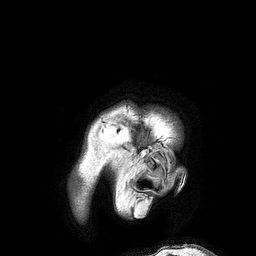
- modality — 3 Tesla brain MRI
- series — 3D T1-weighted turbo field echo
- study — ring-enhancing brain masses